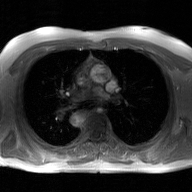
modality = 2D phase-contrast cine MRI of the ascending aorta, GAN super-resolution reconstruction.